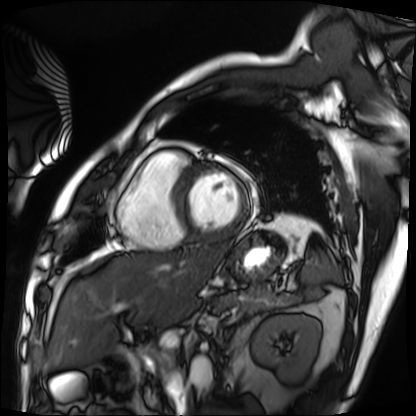
Cardiac MRI. Subject group: patient.